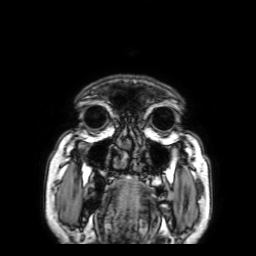
3 Tesla brain MRI. Series: 3D T1-weighted with SENSE. Study: ring-enhancing brain masses.